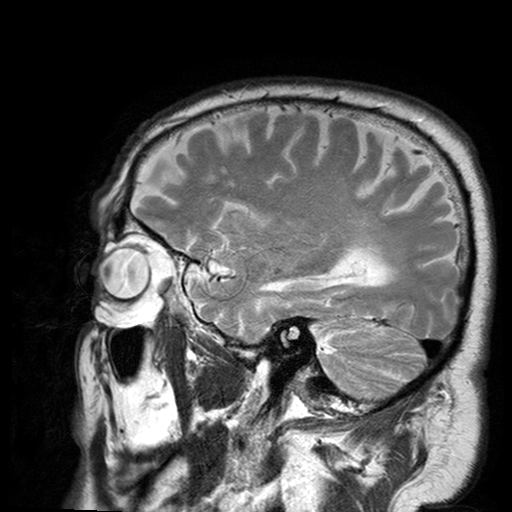
modality = 3 Tesla brain MRI; series = T2-weighted turbo spin echo with SENSE; study = ring-enhancing brain masses.